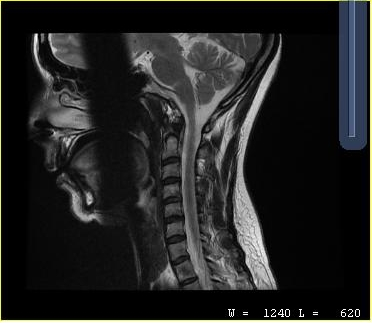
MRI of the cervical spine.
Study: cervical spondylosis.